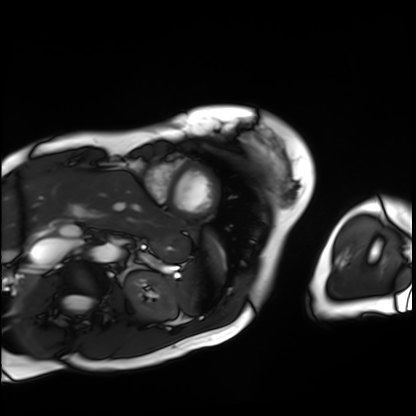
Summary: Cardiac MRI. Subject group: patient.